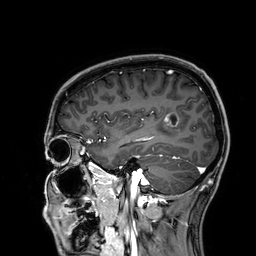
Summary: 3 Tesla brain MRI. Series: 3D T1-weighted. Study: ring-enhancing brain masses.